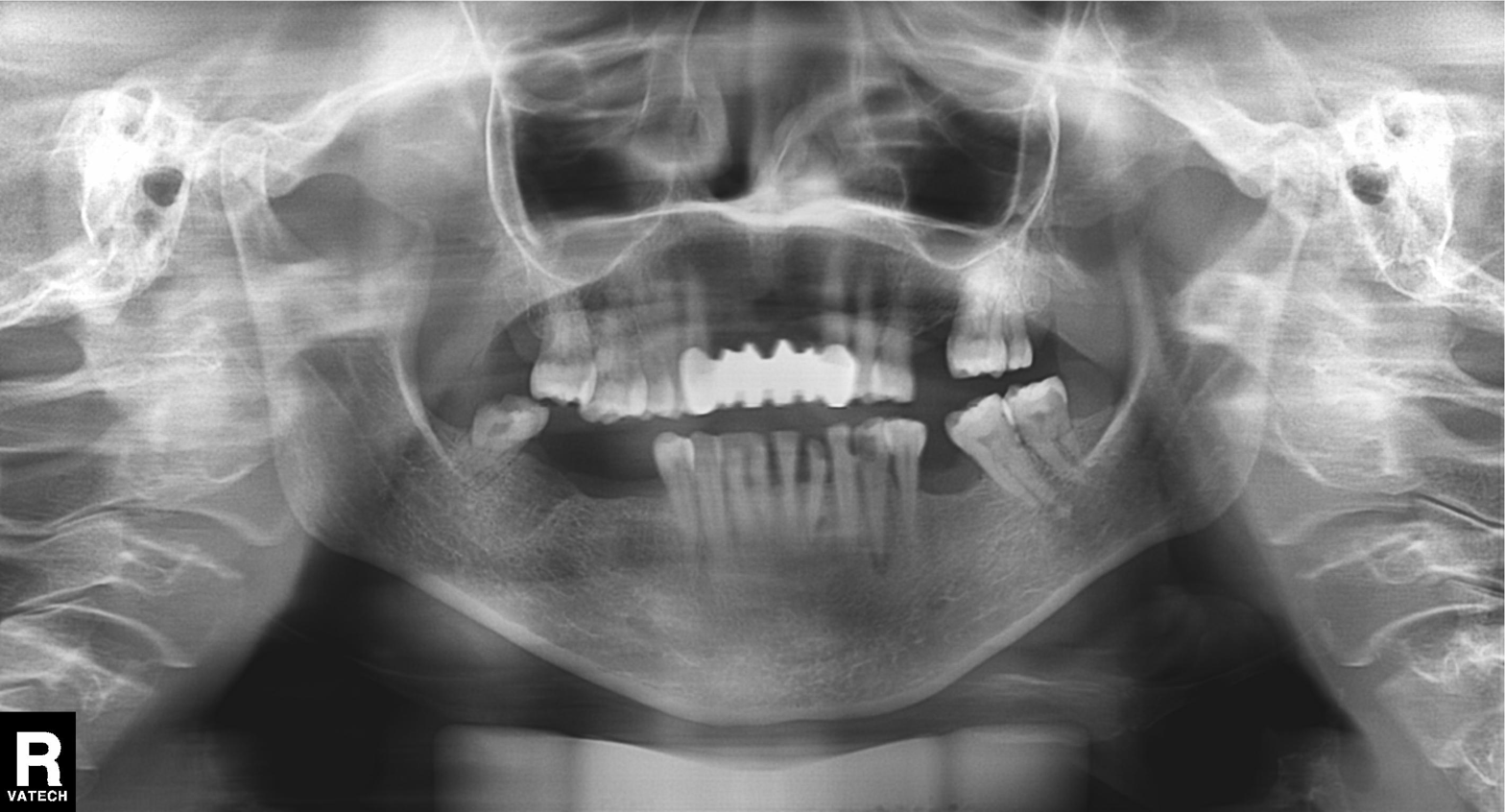
Case summary: Panoramic dental radiograph (orthopantomogram).
Diagnosis: Alveolar bone loss.